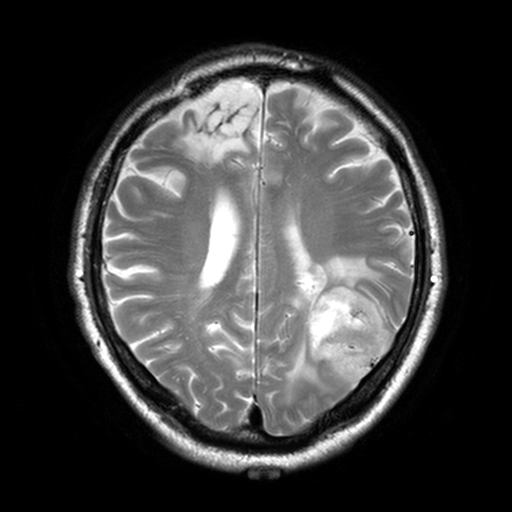
| field | value |
|---|---|
| modality | 3 Tesla brain MRI |
| series | T2-weighted turbo spin echo, 3 mm |
| study | ring-enhancing brain masses |